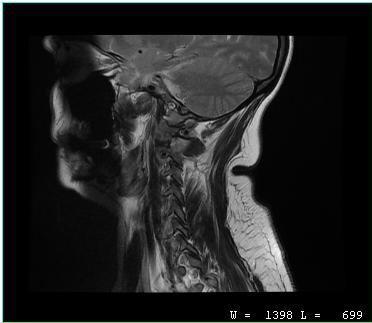
MRI of the cervical spine.
Study: cervical spondylosis.